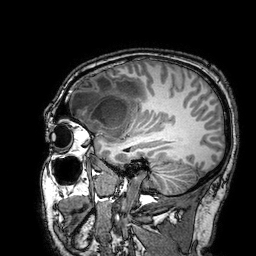
{"modality": {"type": "brain MRI", "field_strength": "3T"}, "series": "3D T1-weighted turbo field echo with SENSE", "study_topic": "ring-enhancing brain masses"}